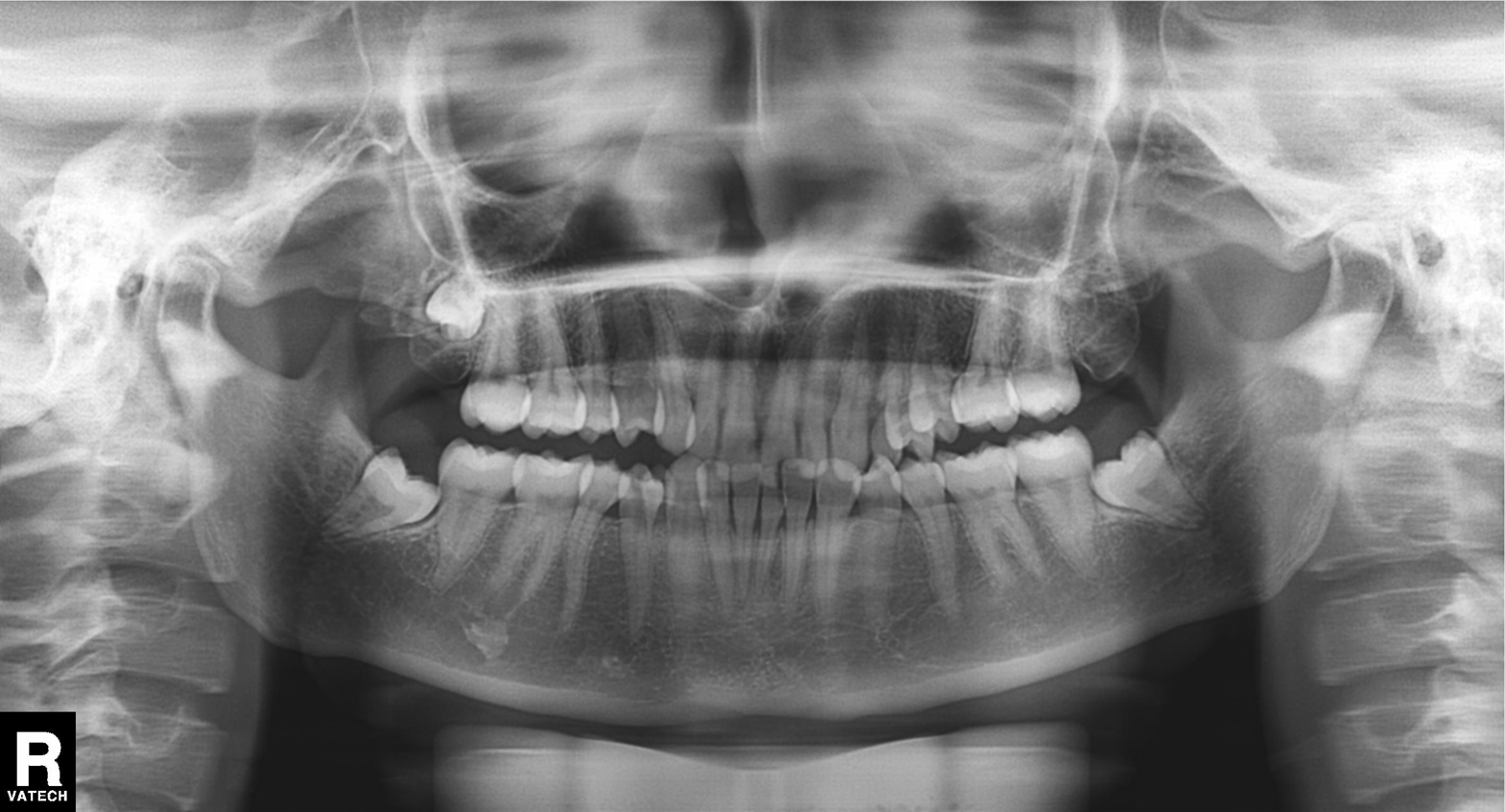
Q: What kind of scan is this?
A: Panoramic dental radiograph (orthopantomogram).
Q: What is the radiographic finding?
A: Alveolar bone loss.